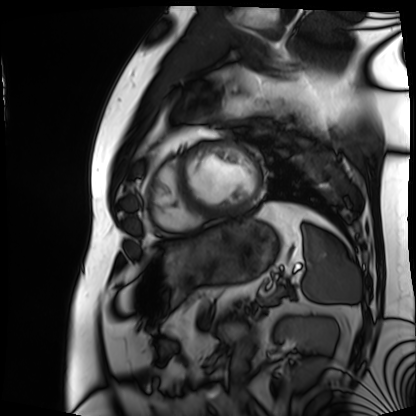
Cardiac MRI. Subject group: patient.